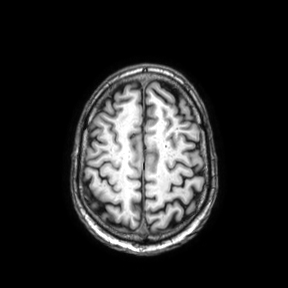
Summary:
3 Tesla brain MRI. Series: axial. Study: ring-enhancing brain masses.